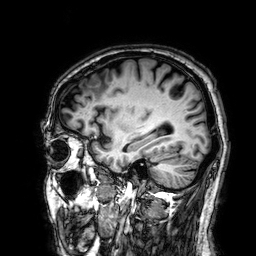
Summary: 3 Tesla brain MRI. Series: 3D T1-weighted. Study: ring-enhancing brain masses.